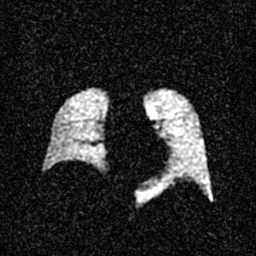
Case:
- modality: hyperpolarized 129Xe ventilation MRI of the lungs
- SNR level: 3 of 8 (the deposit holds this scan as its native image and as seven SNR-degraded versions)